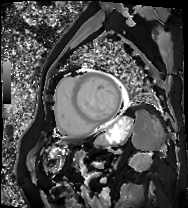
Q: What kind of scan is this?
A: Cardiac MRI.
Subject group: patient.